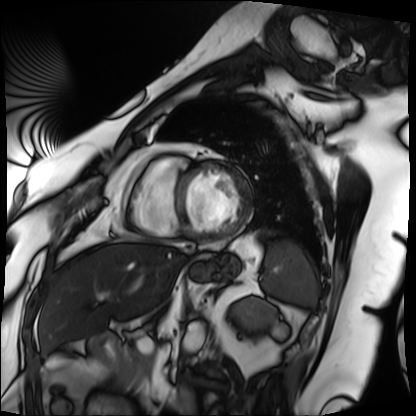
- modality — cardiac MRI
- subject group — patient